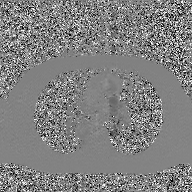
Summary: 2D phase-contrast cine MRI of the ascending aorta, GAN super-resolution reconstruction.